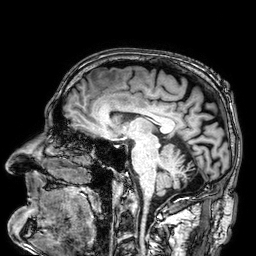
modality — 3 Tesla brain MRI
study — ring-enhancing brain masses